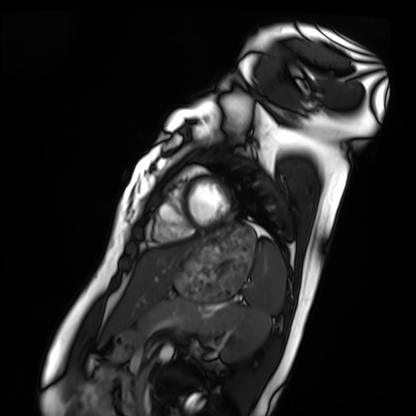
modality: cardiac MRI
cohort: healthy volunteer